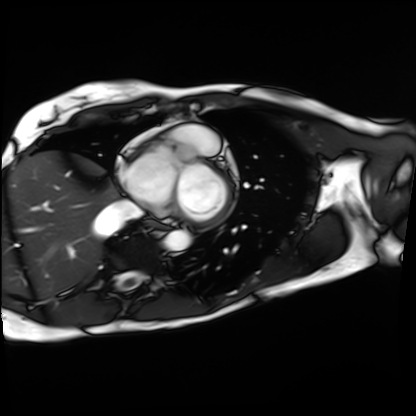
Case summary:
Cardiac MRI. Subject group: patient.